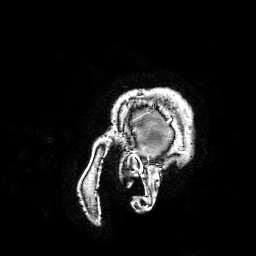
Summary:
3 Tesla brain MRI. Series: 3D T1-weighted turbo field echo with SENSE. Study: ring-enhancing brain masses.